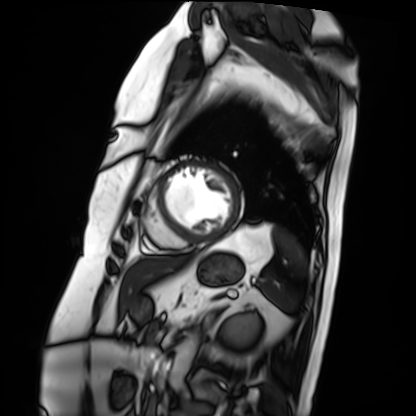
Cardiac MRI.
Subject group: patient.